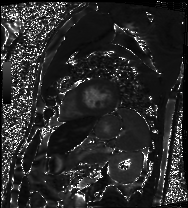
Cardiac MRI.
Subject group: patient.